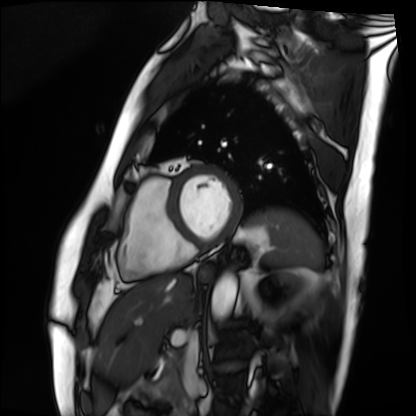
Cardiac MRI.
Subject group: patient.